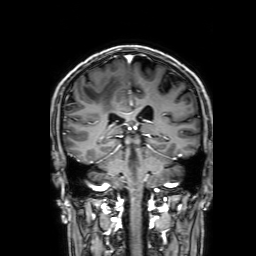
modality: 3 Tesla brain MRI | series: 3D T1-weighted with SENSE | study: ring-enhancing brain masses.